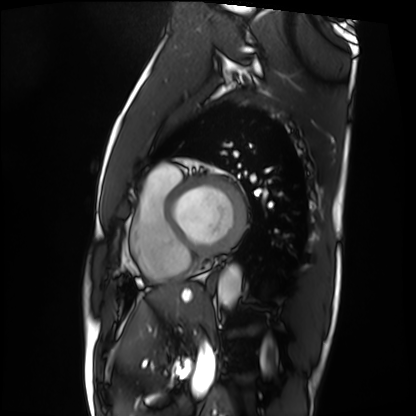
modality: cardiac MRI
subject group: patient